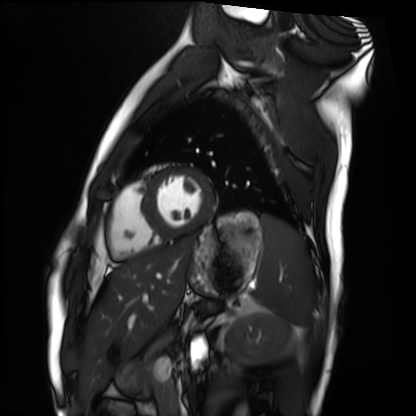
Cardiac MRI. Subject group: healthy volunteer.